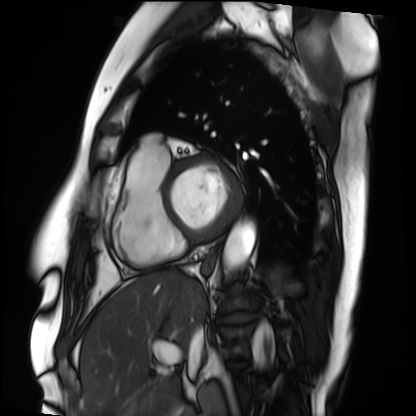
modality: cardiac MRI; subject group: patient.